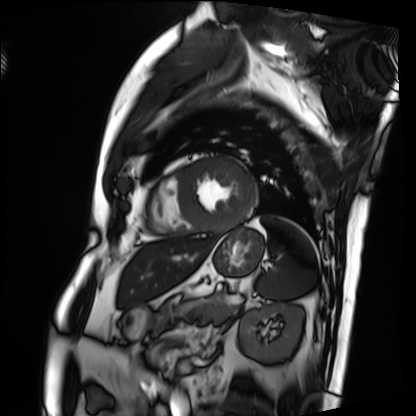
{"modality": "cardiac MRI", "cohort": "patient"}